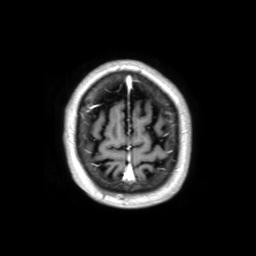
Clinical context:
3 Tesla brain MRI. Series: 3D T1-weighted TFE with SENSE. Study: ring-enhancing brain masses.